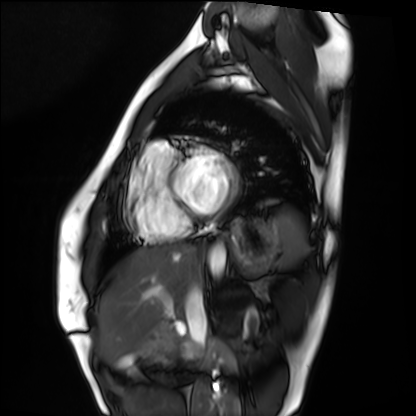
modality: cardiac MRI, subject group: healthy volunteer.